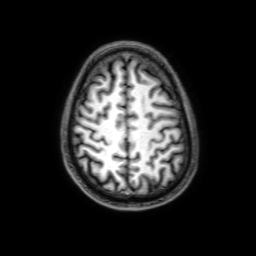
Case:
• modality · 3 Tesla brain MRI
• series · 3D T1-weighted with SENSE
• study · ring-enhancing brain masses